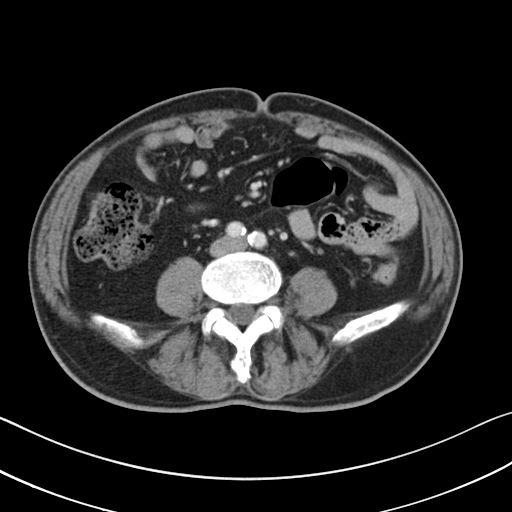
Summary: Multiphase abdominal CT, liver, portal venous phase. Patient: male, age 71.